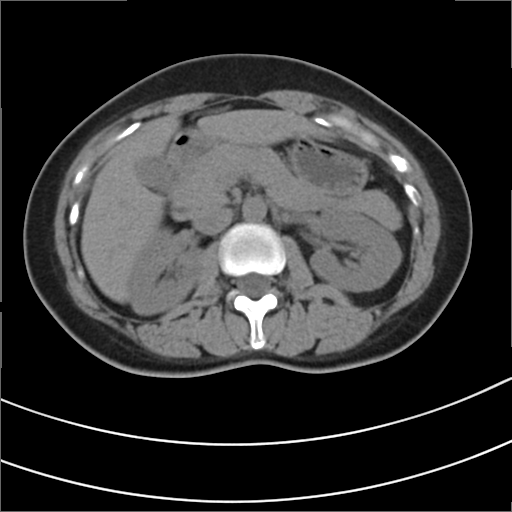
Multiphase abdominal CT, liver, non-contrast phase.
Patient: female, age 42.